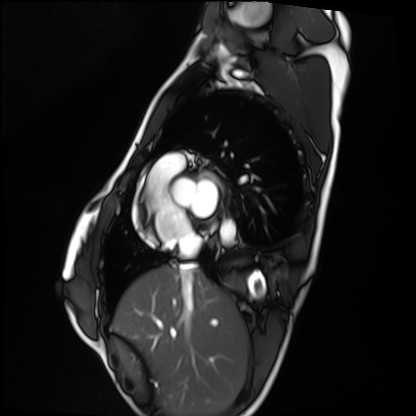
modality — cardiac MRI
subject group — healthy volunteer